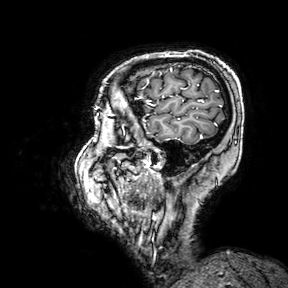
Q: What kind of scan is this?
A: 3 Tesla brain MRI.
Q: Series?
A: 3D T1-weighted turbo field echo with SENSE.
Study: ring-enhancing brain masses.